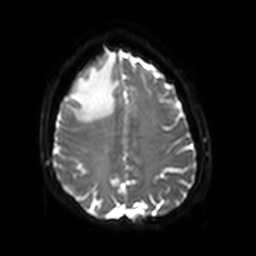
3 Tesla brain MRI. Series: diffusion-weighted imaging with SENSE (WIP). Study: ring-enhancing brain masses.